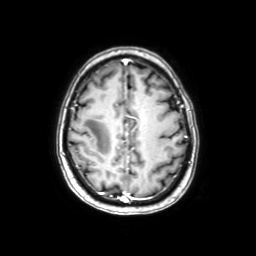
3 Tesla brain MRI.
Study: ring-enhancing brain masses.